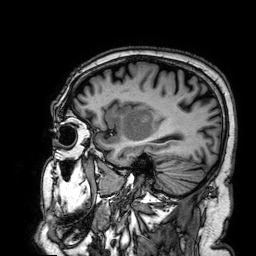
Summary: 3 Tesla brain MRI. Series: 3D T1-weighted. Study: ring-enhancing brain masses.